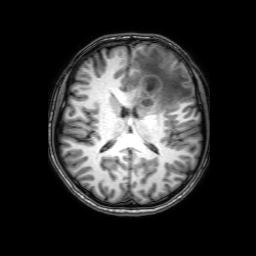
– modality: 3 Tesla brain MRI
– series: 3D T1-weighted with SENSE
– study: ring-enhancing brain masses